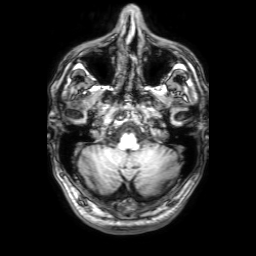
3 Tesla brain MRI.
Series: 3D T1-weighted with SENSE.
Study: ring-enhancing brain masses.